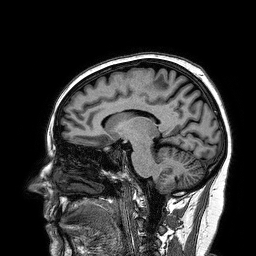
3 Tesla brain MRI. Series: 3D T1-weighted turbo field echo. Study: ring-enhancing brain masses.